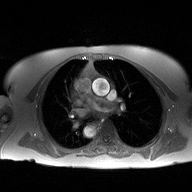
modality = 2D phase-contrast cine MRI of the ascending aorta.